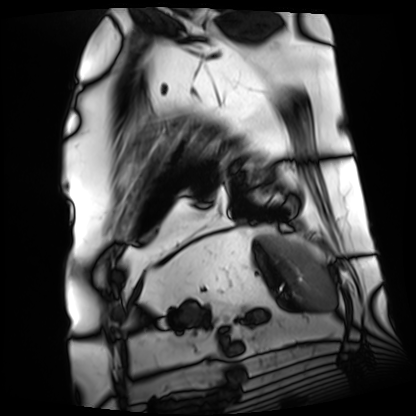
Cardiac MRI. Subject group: patient.